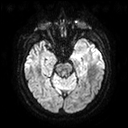
3 Tesla brain MRI. Series: diffusion tensor imaging (medium iso). Study: ring-enhancing brain masses.